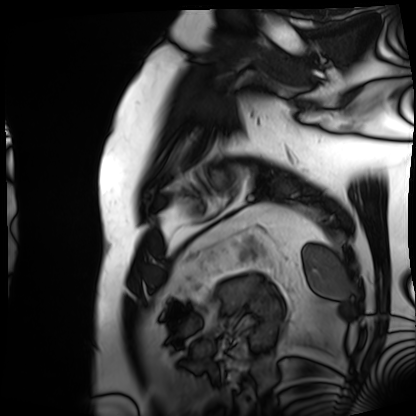
modality: cardiac MRI
subject group: patient